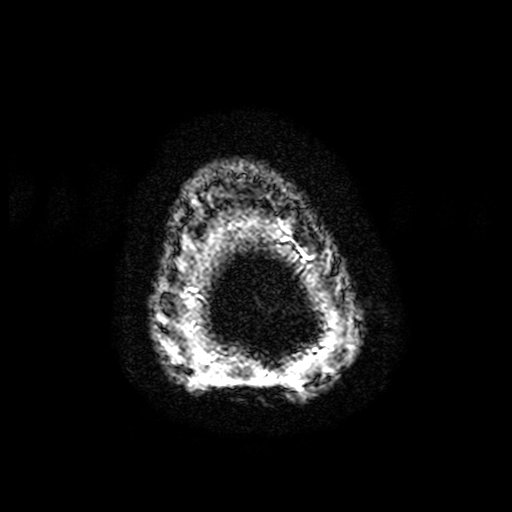
3 Tesla brain MRI. Series: T2-weighted fast field echo with SENSE. Study: ring-enhancing brain masses.